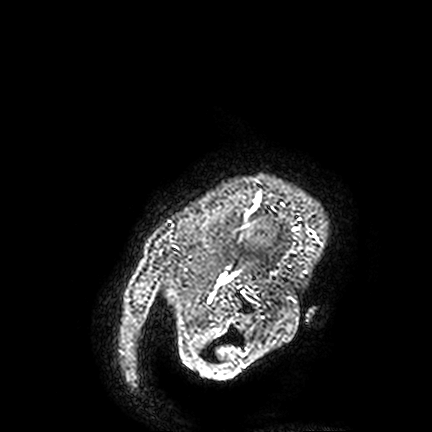
Summary:
3 Tesla brain MRI. Study: ring-enhancing brain masses.